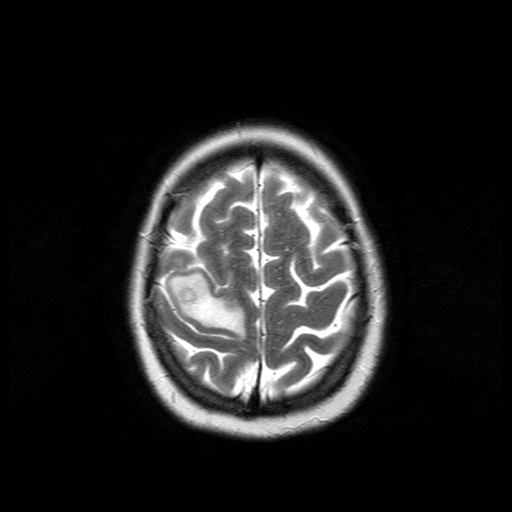
modality:
  type: brain MRI
  field_strength: 3T
series: T2-weighted turbo spin echo
study_topic: ring-enhancing brain masses